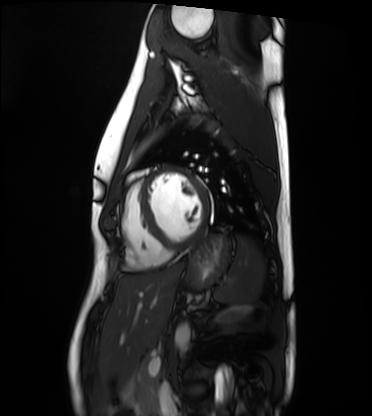
{"modality": "cardiac MRI", "cohort": "healthy volunteer"}